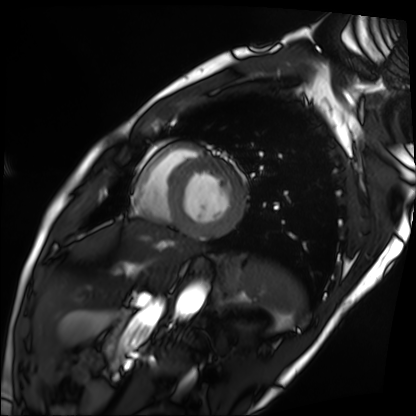
<study>
  <modality>cardiac MRI</modality>
  <cohort>patient</cohort>
</study>